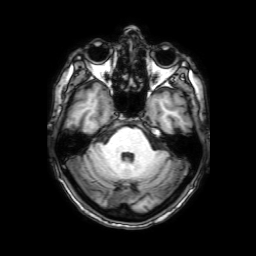
- modality: 3 Tesla brain MRI
- series: 3D T1-weighted with SENSE
- study: ring-enhancing brain masses